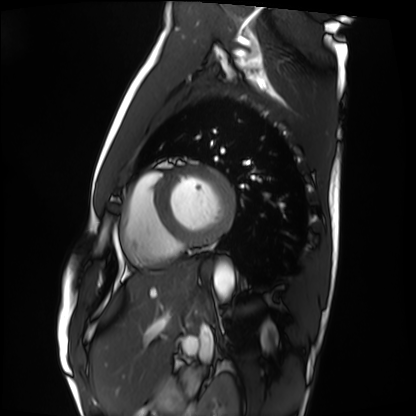
Summary: Cardiac MRI. Subject group: healthy volunteer.